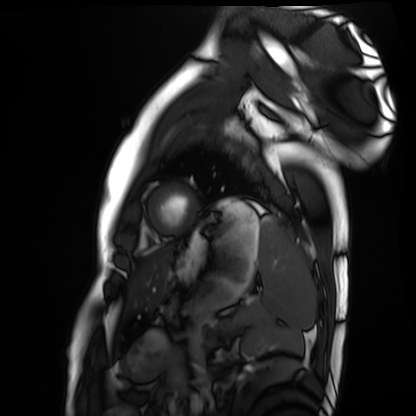
Cardiac MRI. Subject group: healthy volunteer.